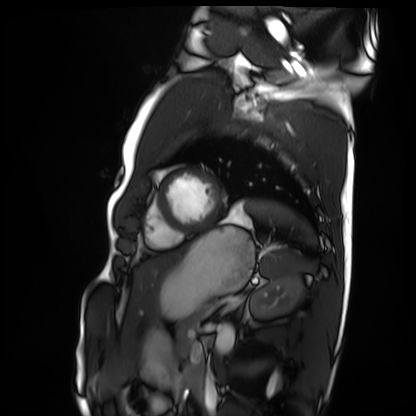
modality = cardiac MRI; subject group = healthy volunteer.